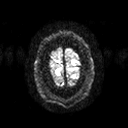
{
  "modality": {
    "type": "brain MRI",
    "field_strength": "3T"
  },
  "series": "diffusion tensor imaging (medium iso)",
  "study_topic": "ring-enhancing brain masses"
}